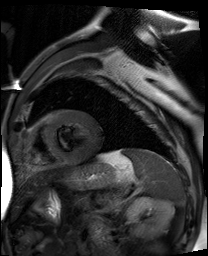
Summary: Cardiac MR image of the myocardium. Subject cohort: cardiac patient.